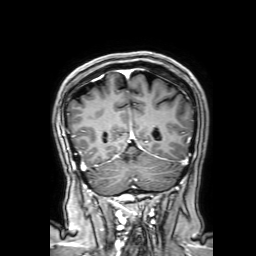
3 Tesla brain MRI.
Series: 3D T1-weighted with SENSE.
Study: ring-enhancing brain masses.